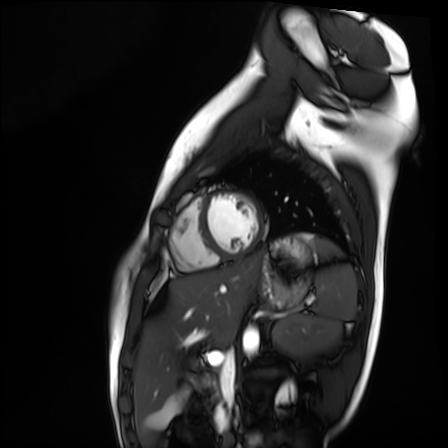
Q: What kind of scan is this?
A: Cardiac MR image of the myocardium.
Subject cohort: healthy volunteer.